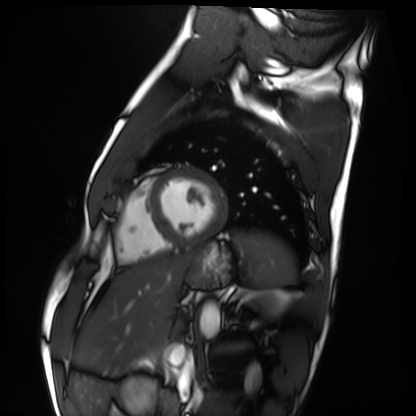
modality: cardiac MRI; subject group: healthy volunteer.